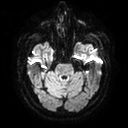
modality=3 Tesla brain MRI
series=diffusion tensor imaging (medium iso)
study=ring-enhancing brain masses